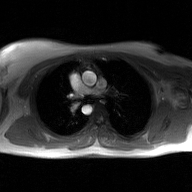
Clinical context: 2D phase-contrast cine MRI of the ascending aorta, GAN super-resolution reconstruction.